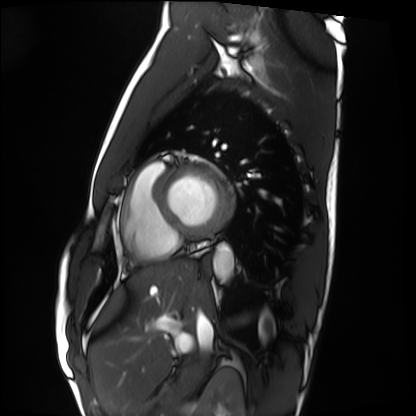
Cardiac MRI. Subject group: healthy volunteer.